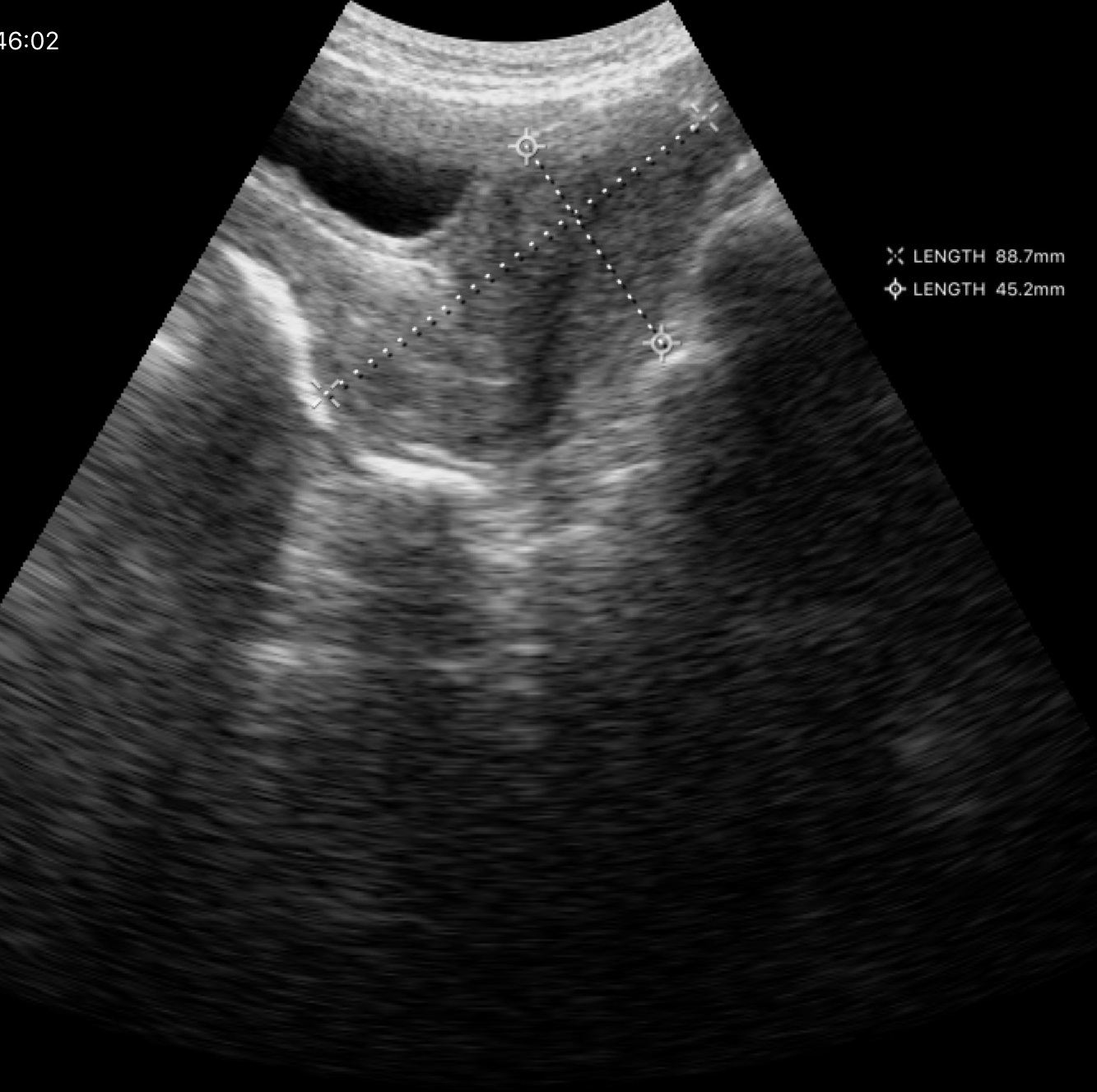
modality: genitourinary ultrasound.